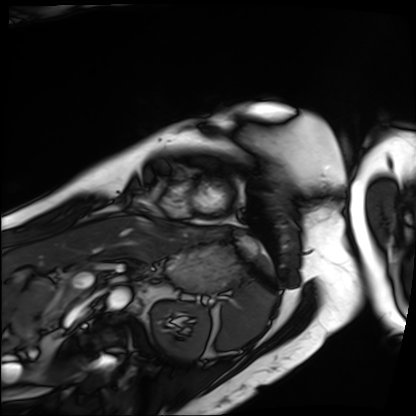
modality: cardiac MRI; subject group: patient.